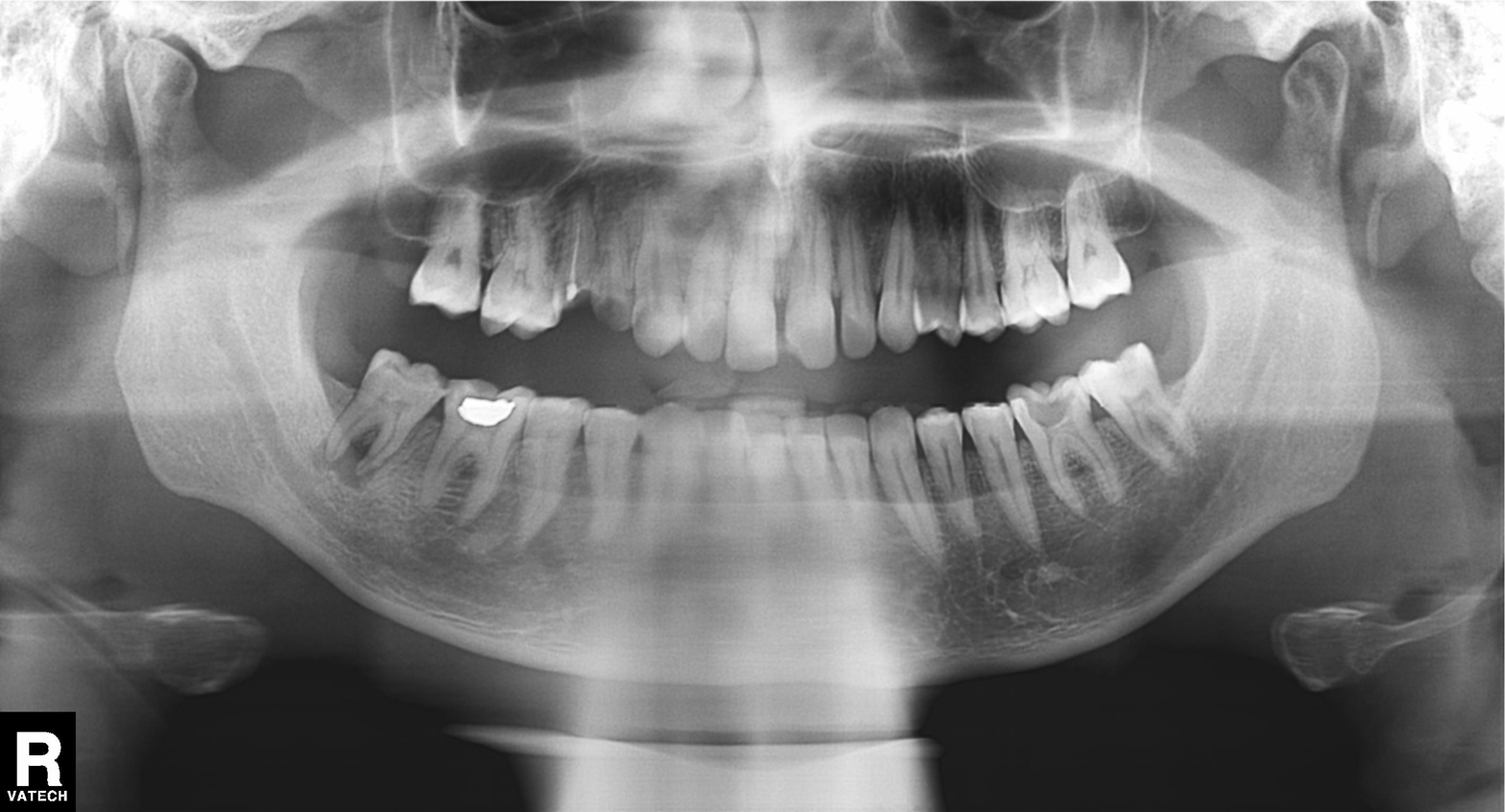
modality = panoramic dental radiograph (orthopantomogram) | finding = dental caries (cavities).